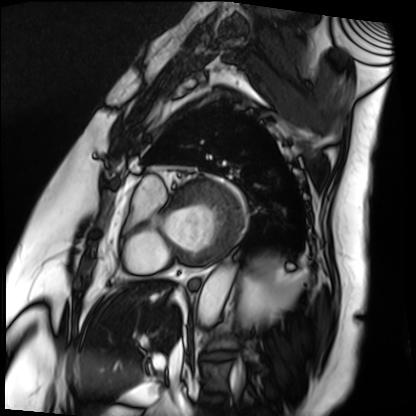
<case>
  <modality>cardiac MRI</modality>
  <cohort>patient</cohort>
</case>